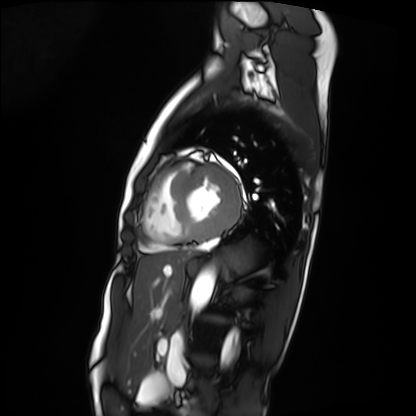
Summary: Cardiac MRI. Subject group: patient.